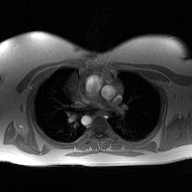
Q: What kind of scan is this?
A: 2D phase-contrast cine MRI of the ascending aorta.